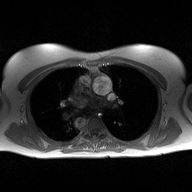
Case summary: 2D phase-contrast cine MRI of the ascending aorta, high-resolution GRAPPA acquisition.